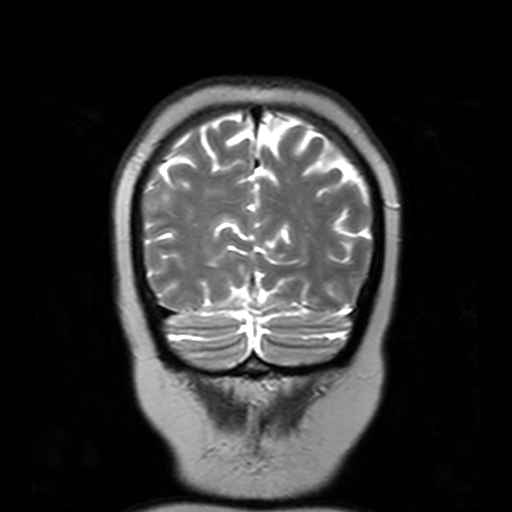
Summary:
3 Tesla brain MRI. Series: T2-weighted turbo spin echo with SENSE. Study: ring-enhancing brain masses.